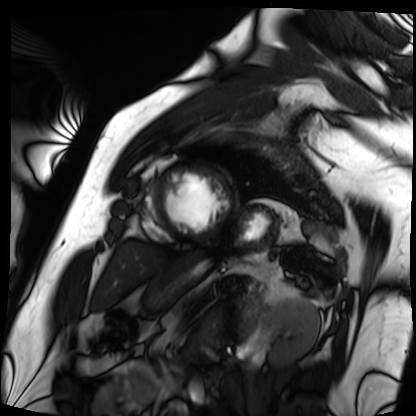
{
  "modality": "cardiac MRI",
  "cohort": "patient"
}